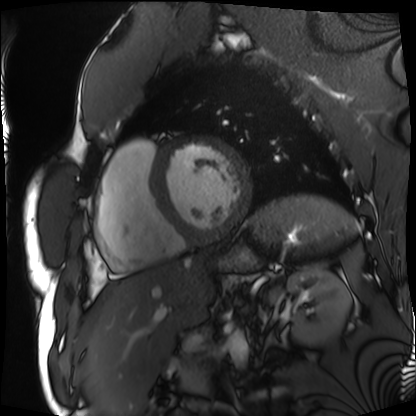
Q: What kind of scan is this?
A: Cardiac MRI.
Subject group: patient.